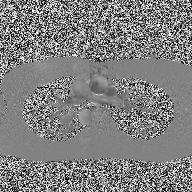
2D phase-contrast cine MRI of the ascending aorta, high-resolution GRAPPA acquisition.